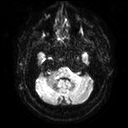
3 Tesla brain MRI. Study: ring-enhancing brain masses.